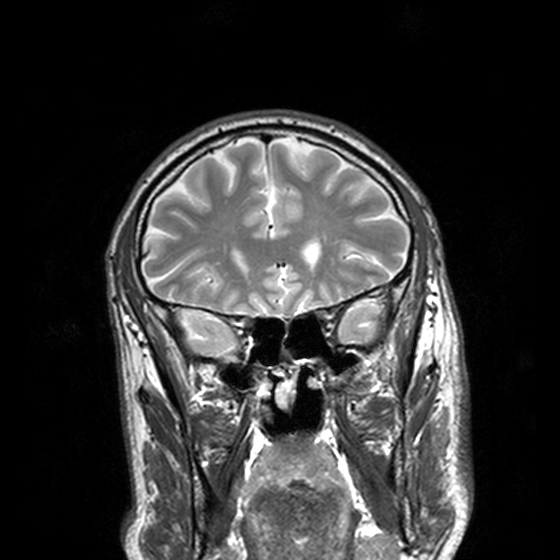
{
  "modality": {
    "type": "brain MRI",
    "field_strength": "3T"
  },
  "series": "T2-weighted turbo spin echo, 3 mm",
  "study_topic": "ring-enhancing brain masses"
}